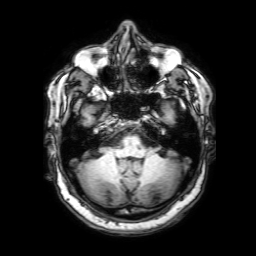
Summary:
3 Tesla brain MRI. Series: 3D T1-weighted with SENSE. Study: ring-enhancing brain masses.